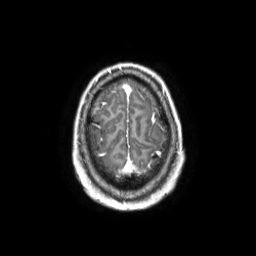
Q: What kind of scan is this?
A: 3 Tesla brain MRI.
Q: Series?
A: 3D T1-weighted TFE with SENSE.
Study: ring-enhancing brain masses.